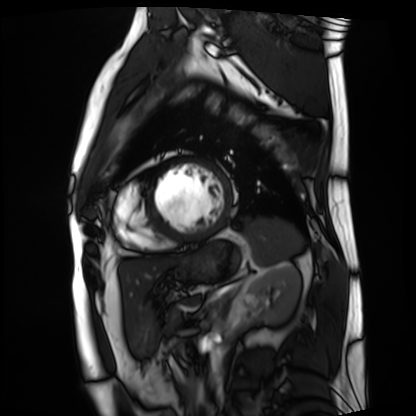
Clinical context:
Cardiac MRI. Subject group: patient.